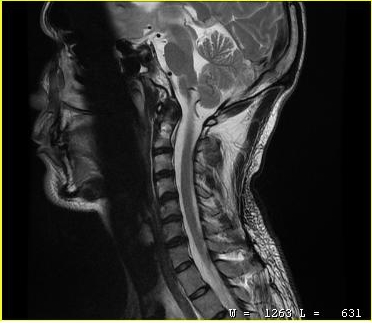
Q: What kind of scan is this?
A: MRI of the cervical spine.
Study: cervical spondylosis.